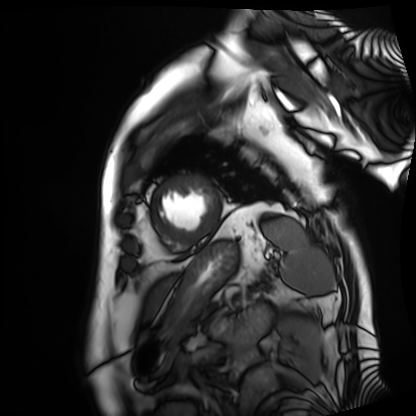
Q: What kind of scan is this?
A: Cardiac MRI.
Subject group: patient.